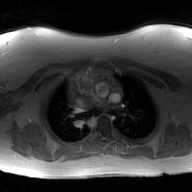
Q: What kind of scan is this?
A: 2D phase-contrast cine MRI of the ascending aorta, GAN super-resolution reconstruction.